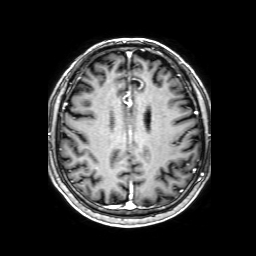
modality = 3 Tesla brain MRI | series = 3D T1-weighted with SENSE | study = ring-enhancing brain masses.